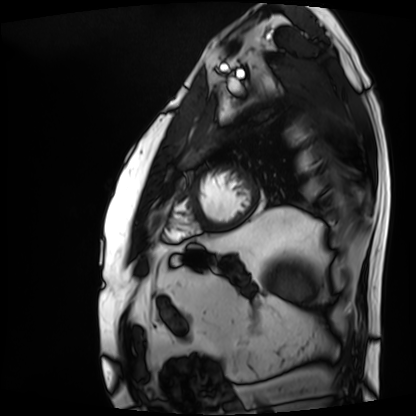
Case:
- modality — cardiac MRI
- subject group — patient